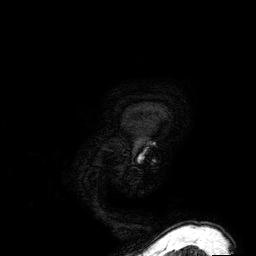
3 Tesla brain MRI. Study: ring-enhancing brain masses.